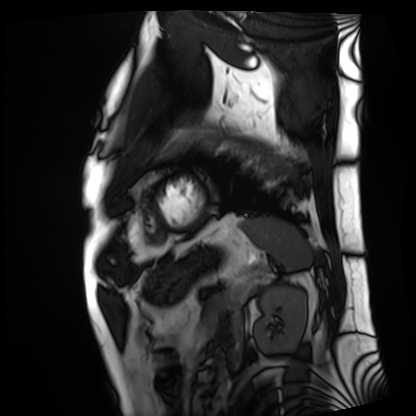
Cardiac MRI.
Subject group: patient.